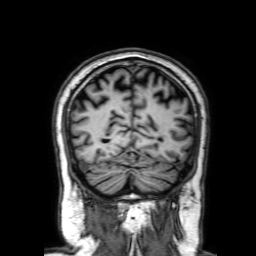
| field | value |
|---|---|
| modality | 3 Tesla brain MRI |
| series | 3D T1-weighted with SENSE |
| study | ring-enhancing brain masses |